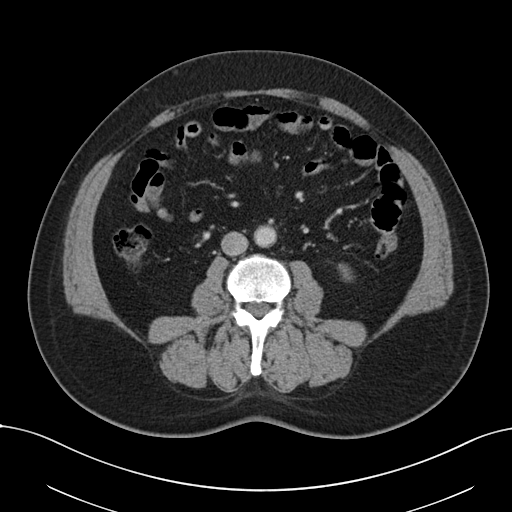
modality = multiphase abdominal CT, liver, portal venous phase | patient = male, age 54 | history = viral hepatitis.